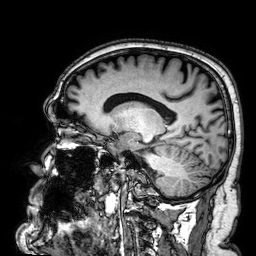
– modality · 3 Tesla brain MRI
– series · 3D T1-weighted
– study · ring-enhancing brain masses